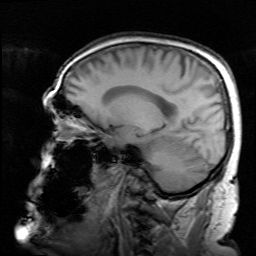
modality:
  type: brain MRI
  field_strength: 3T
series: survey
study_topic: ring-enhancing brain masses